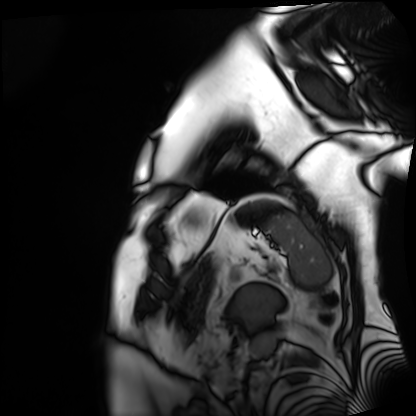
Case summary:
Cardiac MRI. Subject group: patient.